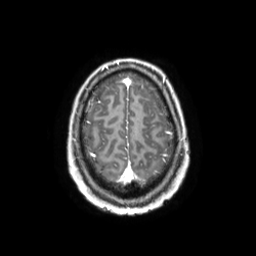
3 Tesla brain MRI.
Series: 3D T1-weighted TFE with SENSE.
Study: ring-enhancing brain masses.